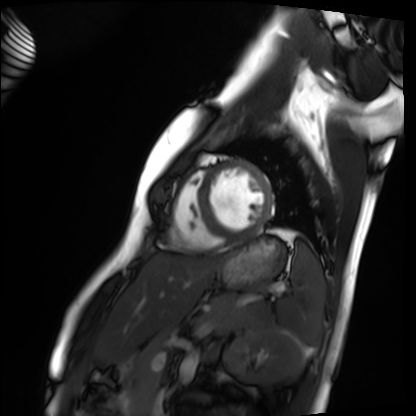
Q: What kind of scan is this?
A: Cardiac MRI.
Subject group: healthy volunteer.